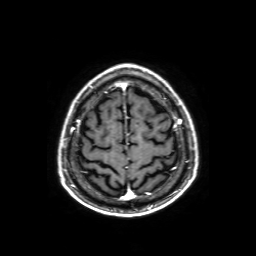
3 Tesla brain MRI.
Study: ring-enhancing brain masses.